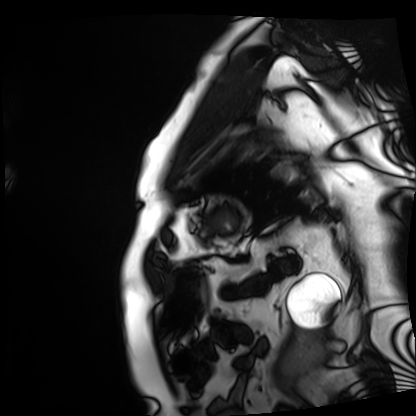
modality — cardiac MRI | subject group — patient.